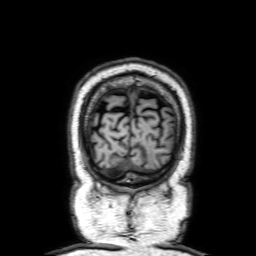
Q: What kind of scan is this?
A: 3 Tesla brain MRI.
Study: ring-enhancing brain masses.